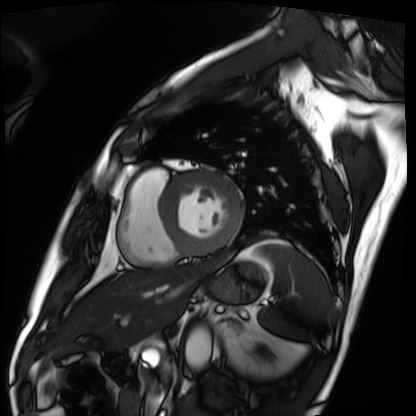
Cardiac MRI.
Subject group: patient.